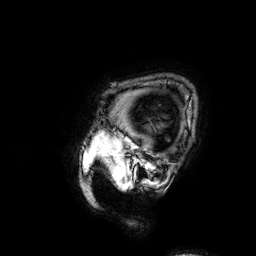
Summary: 3 Tesla brain MRI. Series: 3D T1-weighted. Study: ring-enhancing brain masses.